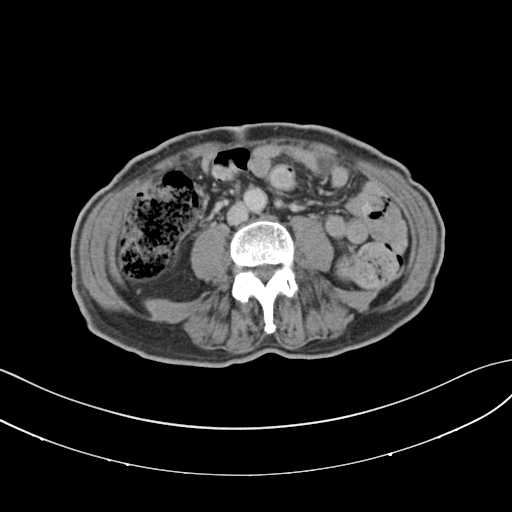
* modality: multiphase abdominal CT, liver, delayed phase
* patient: male, age 71
* history: prior chemotherapy